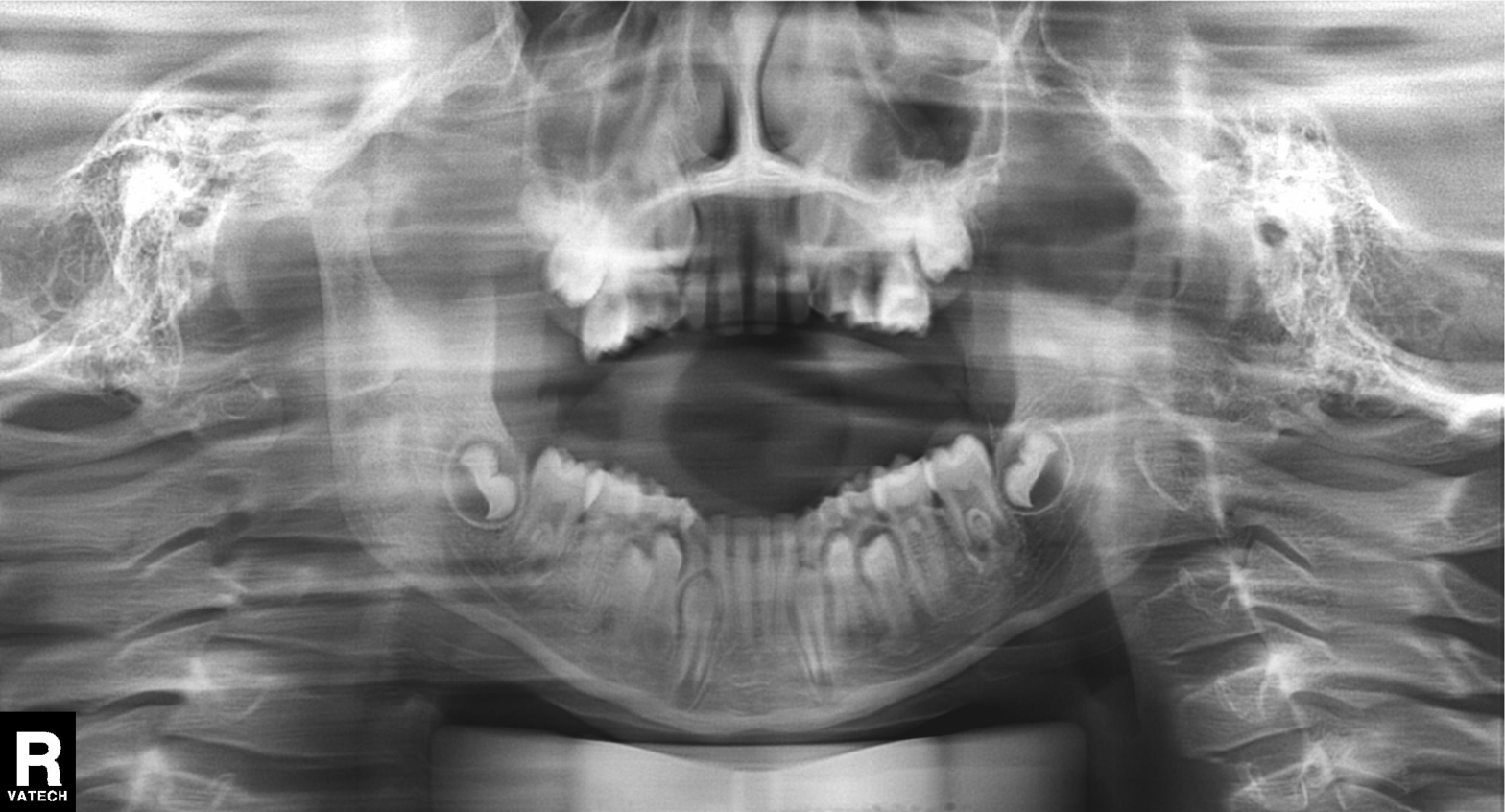
Q: What kind of scan is this?
A: Panoramic dental radiograph (orthopantomogram).
Q: What is the radiographic finding?
A: Tooth impaction.